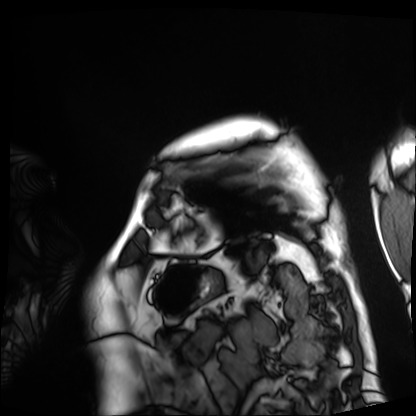
Cardiac MRI. Subject group: patient.